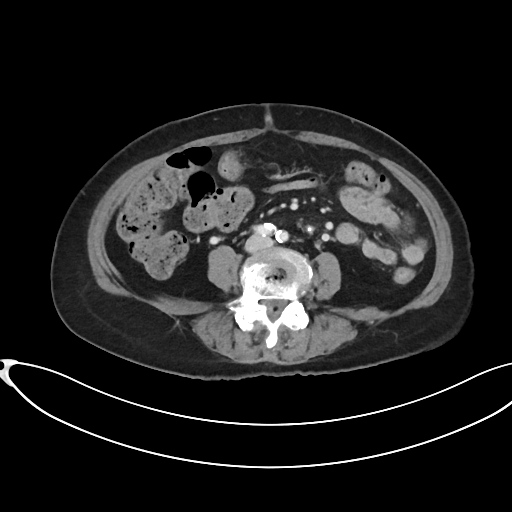
Case summary:
Multiphase abdominal CT, liver, portal venous phase. Patient: female, age 80.